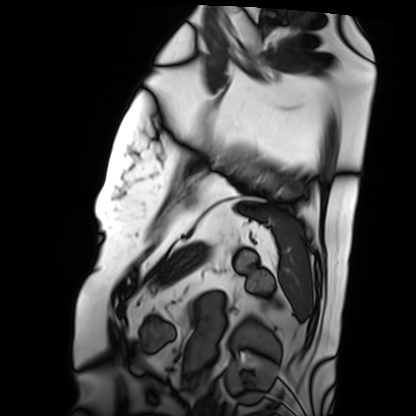
Summary: Cardiac MRI. Subject group: patient.